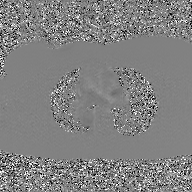
Q: What kind of scan is this?
A: 2D phase-contrast cine MRI of the ascending aorta, GAN super-resolution reconstruction.